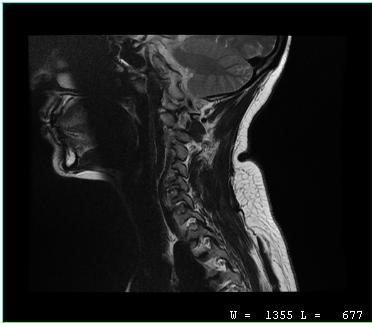
Summary: MRI of the cervical spine. Study: cervical spondylosis.